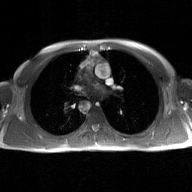
Summary:
2D phase-contrast cine MRI of the ascending aorta, GAN super-resolution reconstruction.